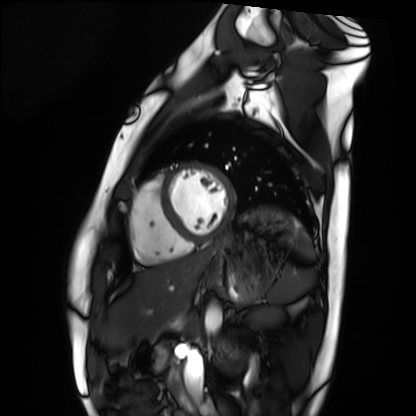
– modality · cardiac MRI
– subject group · healthy volunteer